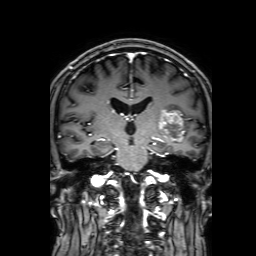
<record>
  <modality>
    <type>brain MRI</type>
    <field_strength>3T</field_strength>
  </modality>
  <series>3D T1-weighted with SENSE</series>
  <study_topic>ring-enhancing brain masses</study_topic>
</record>